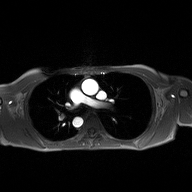
2D phase-contrast cine MRI of the ascending aorta, high-resolution GRAPPA acquisition.